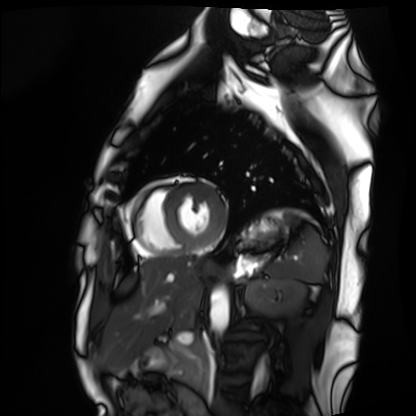
- modality · cardiac MRI
- subject group · healthy volunteer